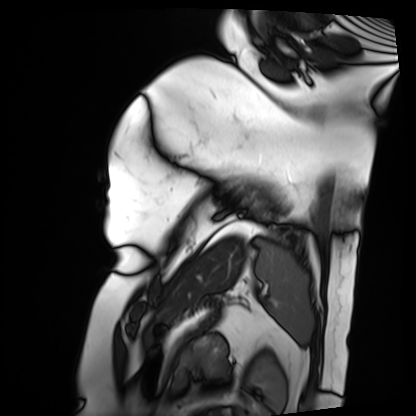
modality = cardiac MRI
subject group = patient